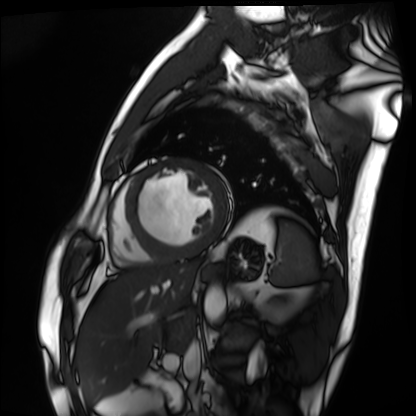
Summary:
Cardiac MRI. Subject group: patient.